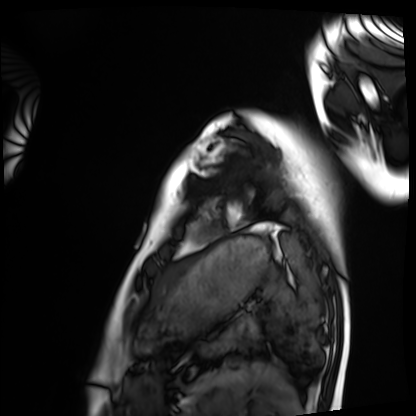
modality=cardiac MRI; subject group=healthy volunteer.